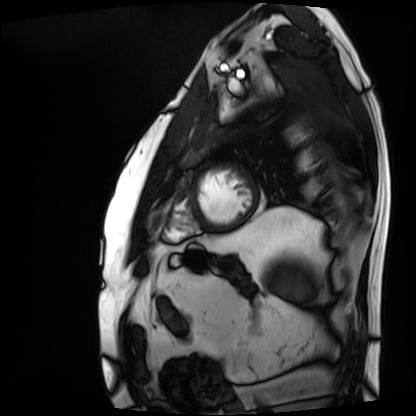
modality: cardiac MRI
subject group: patient